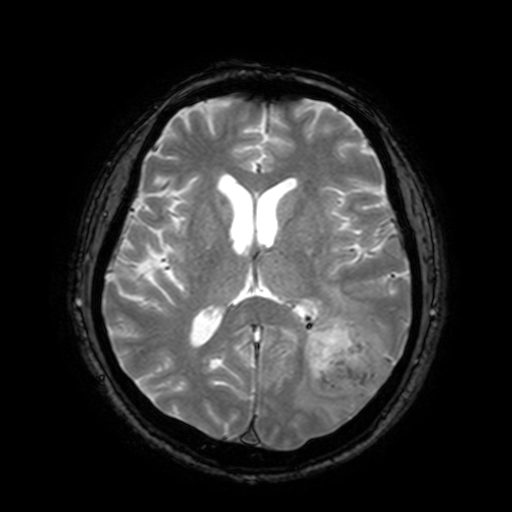
modality: 3 Tesla brain MRI | series: T2-weighted fast field echo with SENSE | study: ring-enhancing brain masses.